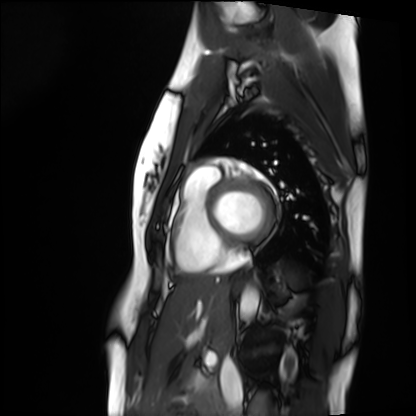
Q: What kind of scan is this?
A: Cardiac MRI.
Subject group: healthy volunteer.